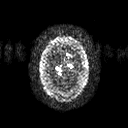
modality:
  type: brain MRI
  field_strength: 3T
series: diffusion tensor imaging (medium iso)
study_topic: ring-enhancing brain masses